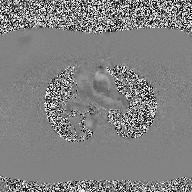
2D phase-contrast cine MRI of the ascending aorta, high-resolution GRAPPA acquisition.